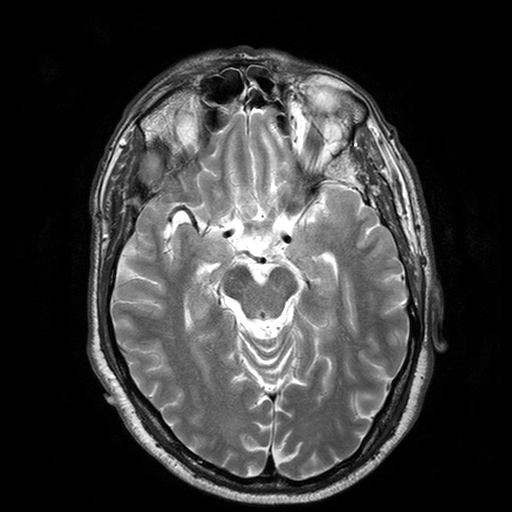
3 Tesla brain MRI.
Series: T2-weighted turbo spin echo with SENSE.
Study: ring-enhancing brain masses.